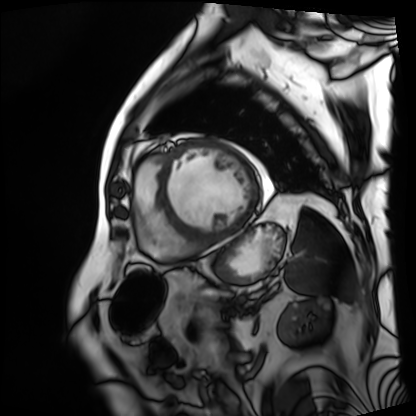
Q: What kind of scan is this?
A: Cardiac MRI.
Subject group: patient.